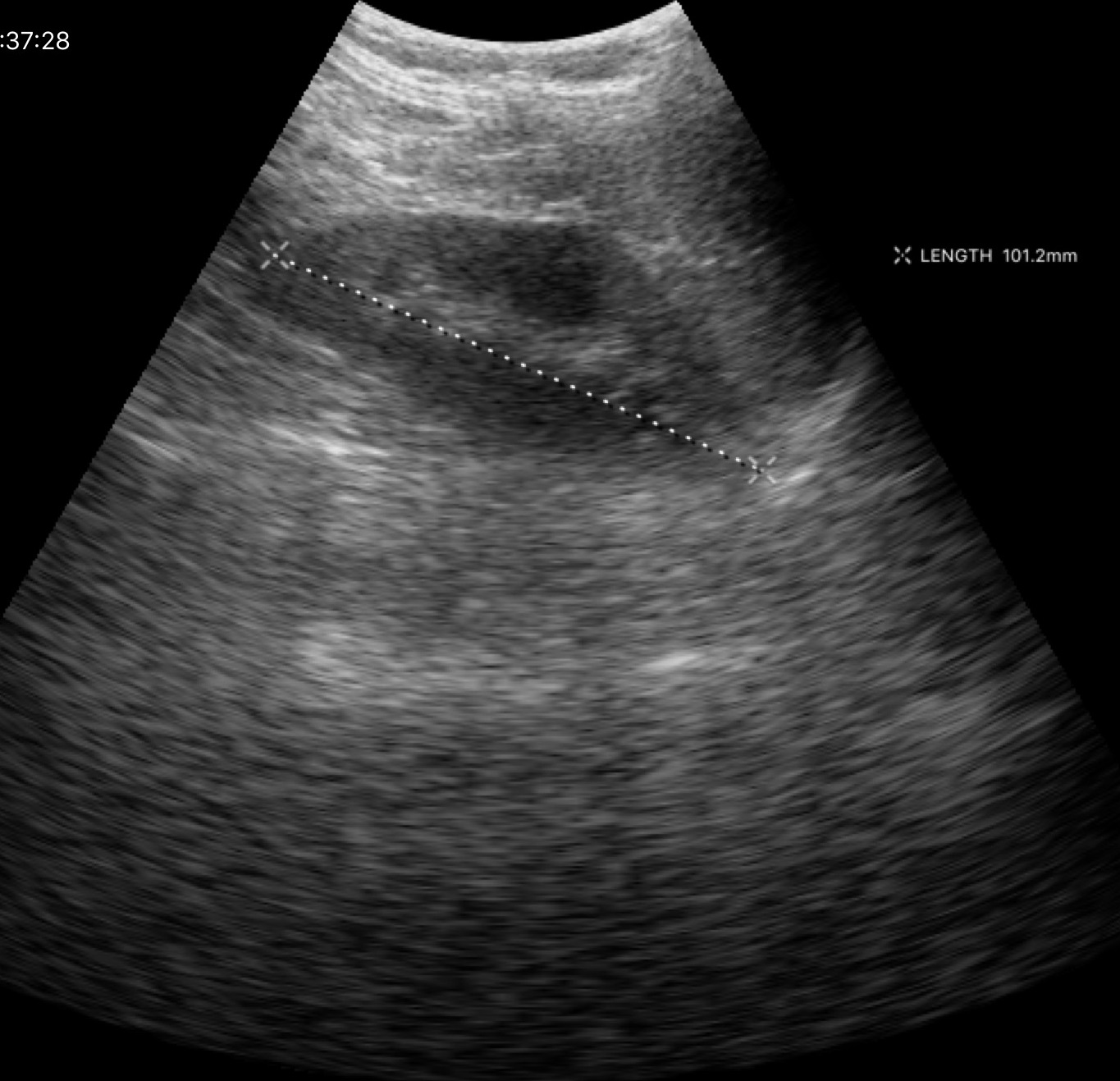
{
  "modality": {
    "type": "genitourinary ultrasound"
  }
}